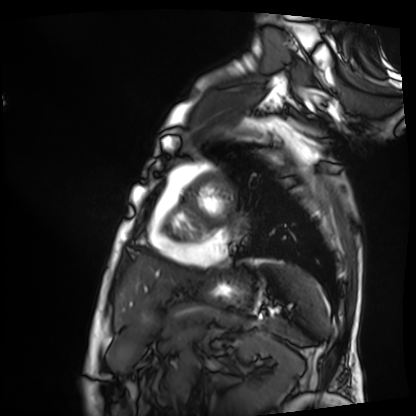
Case summary:
Cardiac MRI. Subject group: patient.